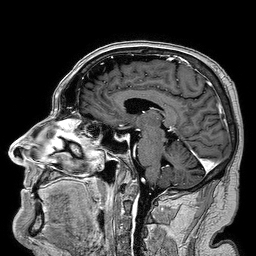
3 Tesla brain MRI. Series: 3D T1-weighted turbo field echo. Study: ring-enhancing brain masses.